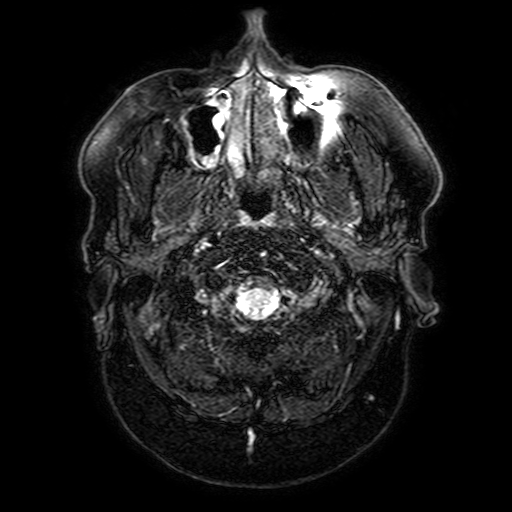
• modality — 3 Tesla brain MRI
• series — FLAIR with SPAIR, 3 mm
• study — ring-enhancing brain masses